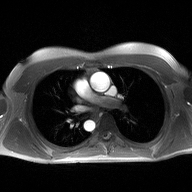
modality=2D phase-contrast cine MRI of the ascending aorta.